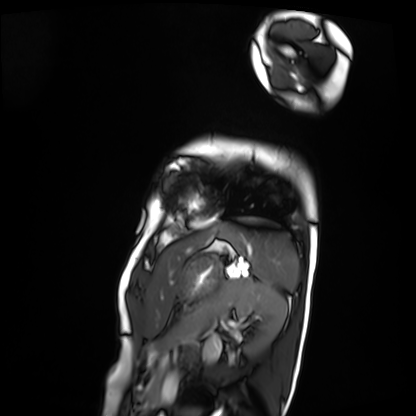
Clinical context: Cardiac MRI. Subject group: patient.